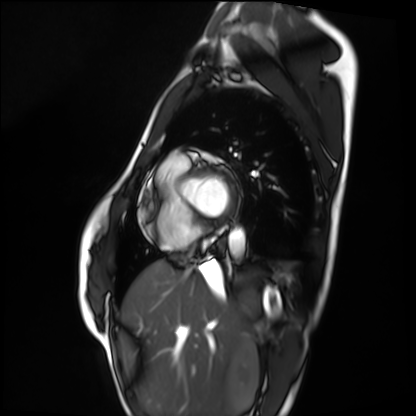
Cardiac MRI. Subject group: healthy volunteer.